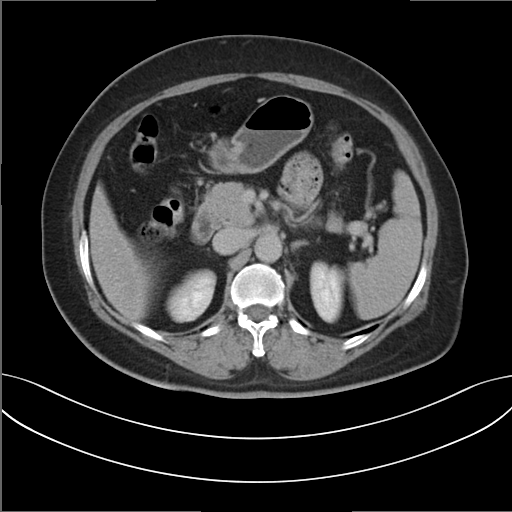
• modality · multiphase abdominal CT, liver, delayed phase
• patient · female, age 54
• history · prior chemotherapy